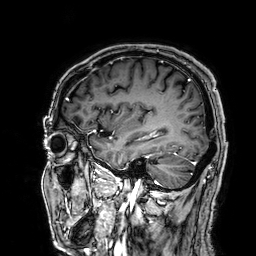
| field | value |
|---|---|
| modality | 3 Tesla brain MRI |
| series | 3D T1-weighted |
| study | ring-enhancing brain masses |